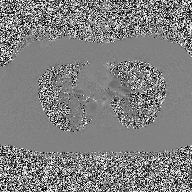
Clinical context:
2D phase-contrast cine MRI of the ascending aorta, high-resolution GRAPPA acquisition.